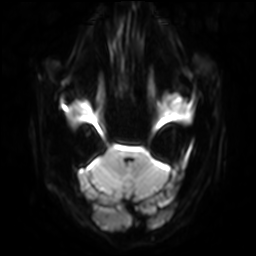
3 Tesla brain MRI. Series: diffusion-weighted imaging with SENSE (WIP). Study: ring-enhancing brain masses.